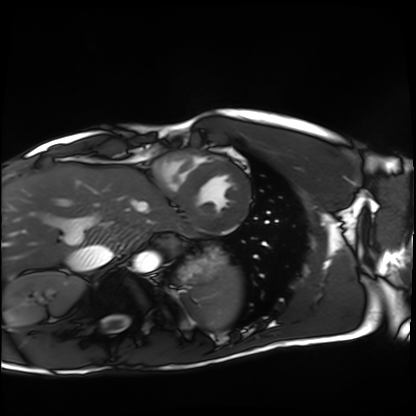
Cardiac MRI. Subject group: healthy volunteer.